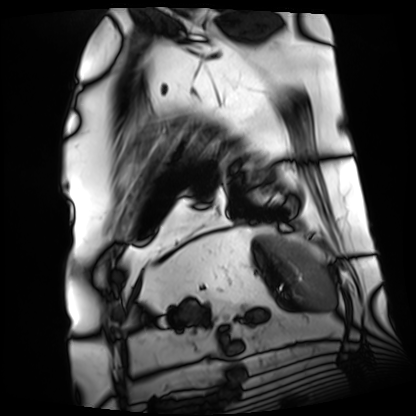
| field | value |
|---|---|
| modality | cardiac MRI |
| subject group | patient |